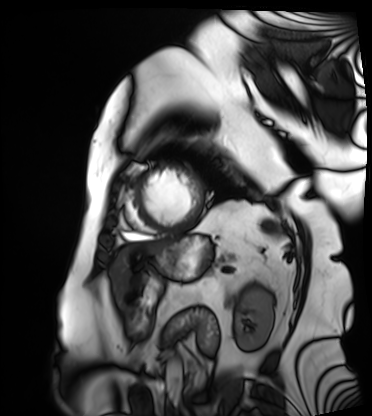
Clinical context: Cardiac MRI. Subject group: patient.